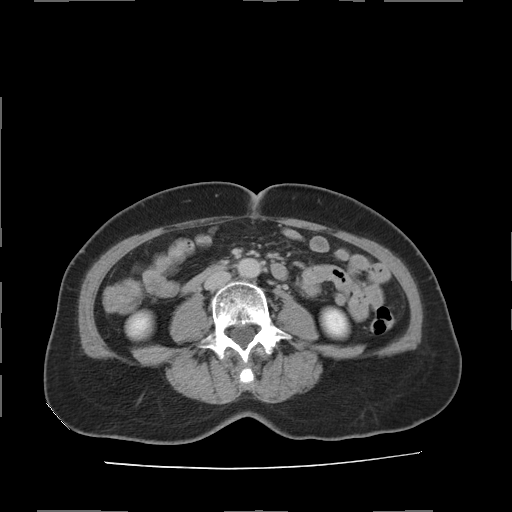
modality: multiphase abdominal CT, liver, delayed phase; patient: female, age 61.